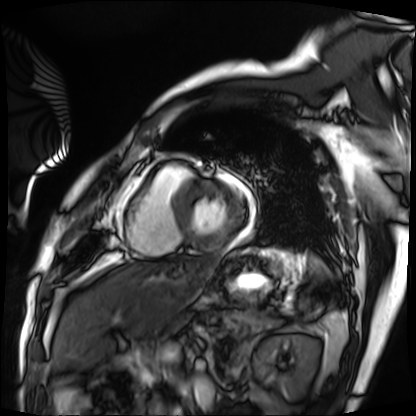
Q: What kind of scan is this?
A: Cardiac MRI.
Subject group: patient.